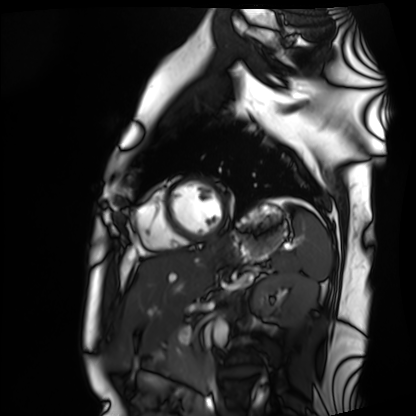
Q: What kind of scan is this?
A: Cardiac MRI.
Subject group: healthy volunteer.